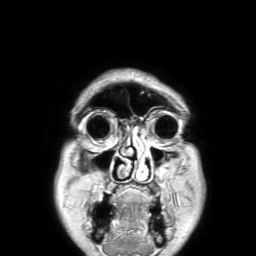
{"modality": {"type": "brain MRI", "field_strength": "3T"}, "series": "3D T1-weighted TFE with SENSE", "study_topic": "ring-enhancing brain masses"}